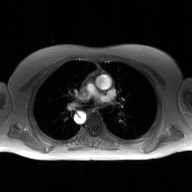
2D phase-contrast cine MRI of the ascending aorta, GAN super-resolution reconstruction.